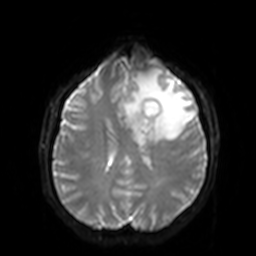
Summary:
3 Tesla brain MRI. Series: diffusion-weighted imaging with SENSE (WIP). Study: ring-enhancing brain masses.